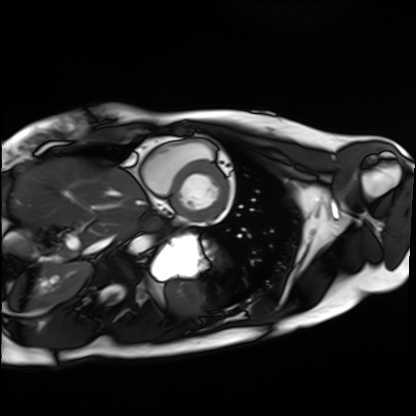
Q: What kind of scan is this?
A: Cardiac MRI.
Subject group: healthy volunteer.